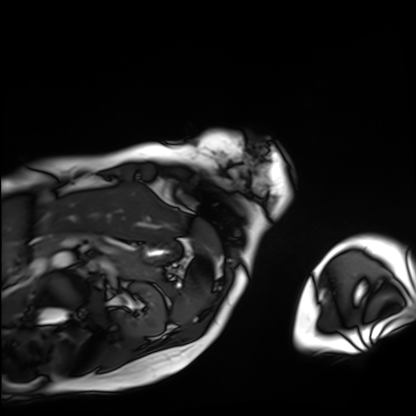
Cardiac MRI. Subject group: patient.